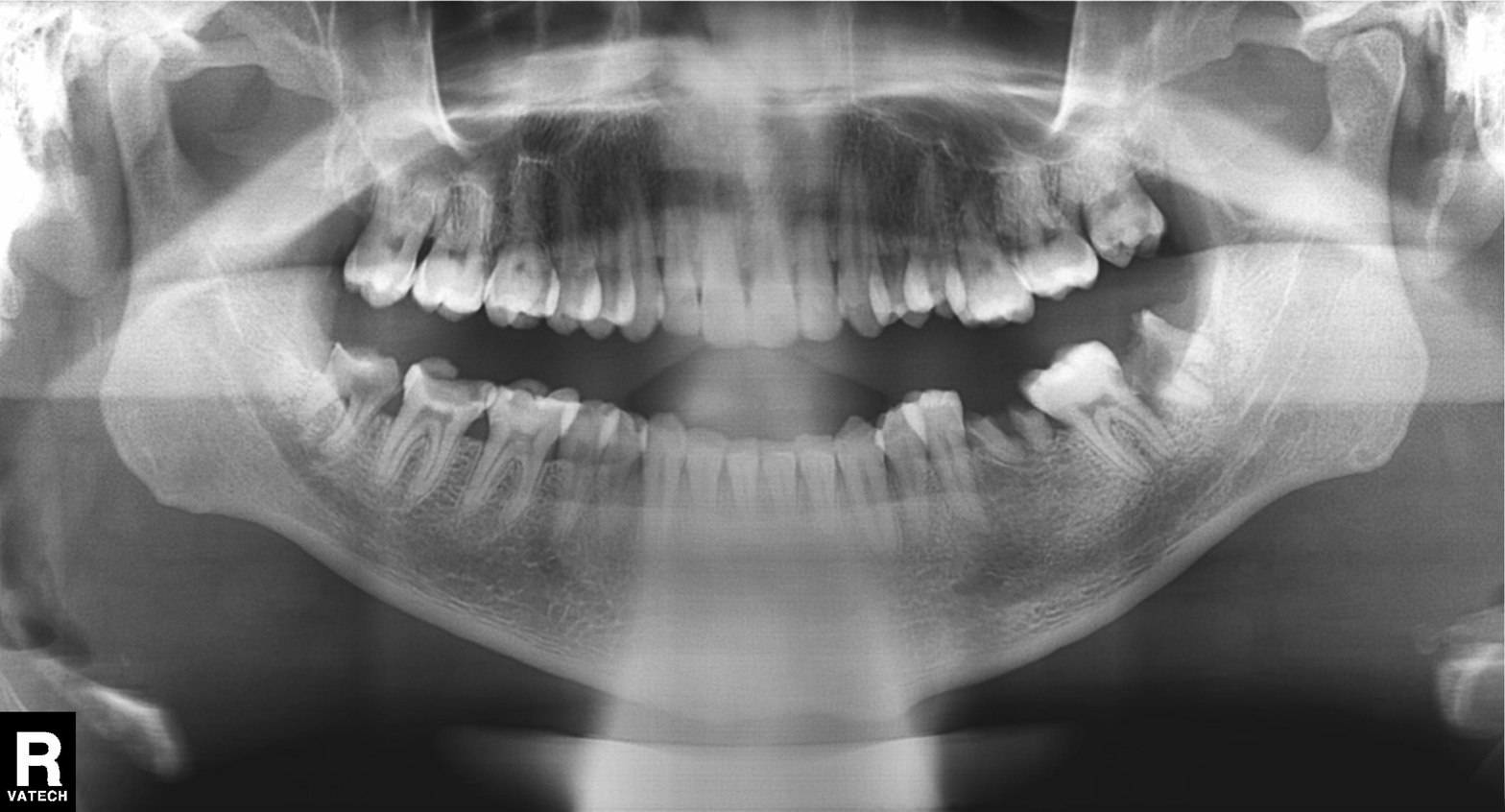
  modality: panoramic dental radiograph (orthopantomogram)
  finding: alveolar bone loss